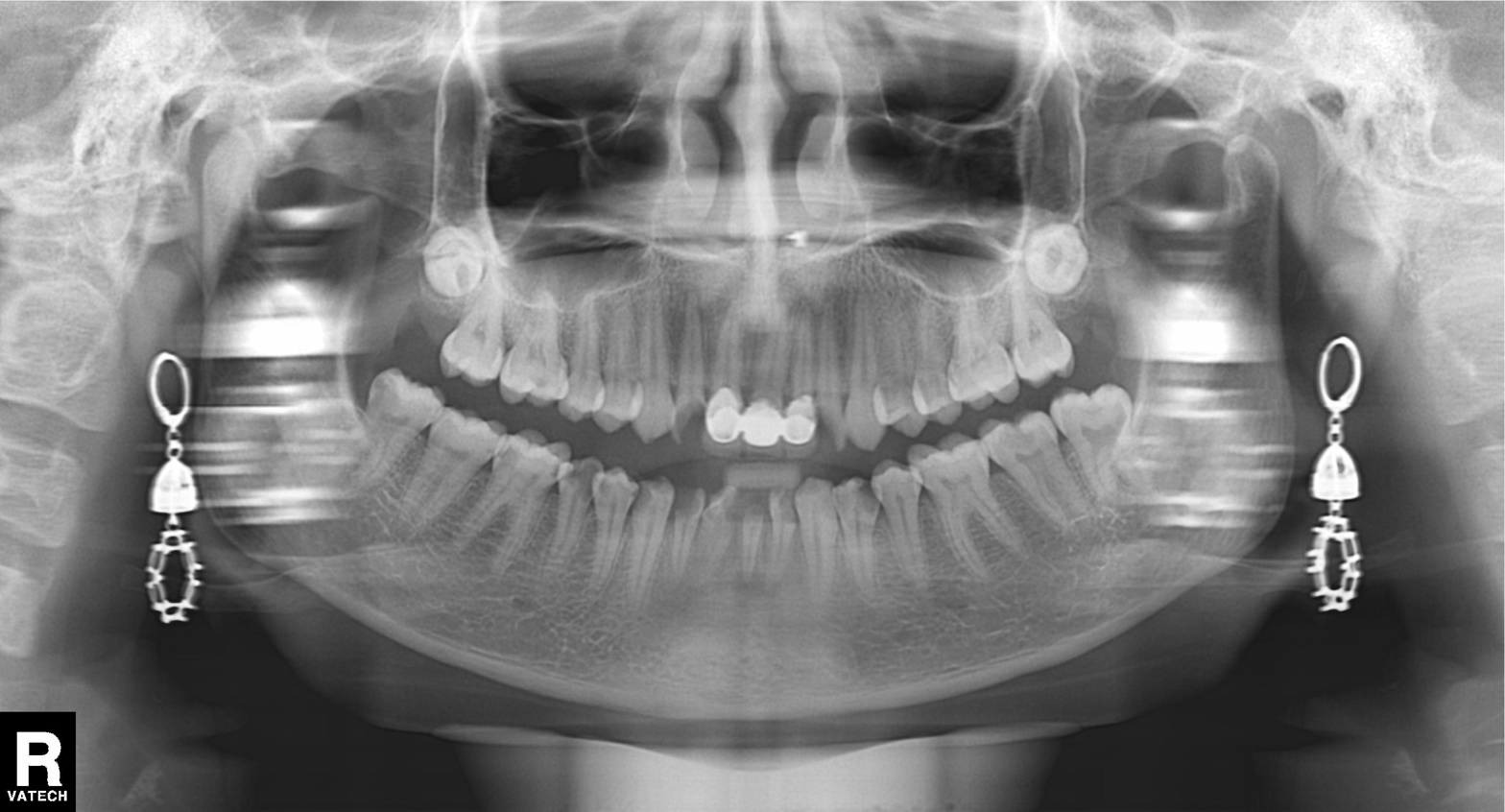
Panoramic dental radiograph (orthopantomogram).
Finding: dental caries (cavities).